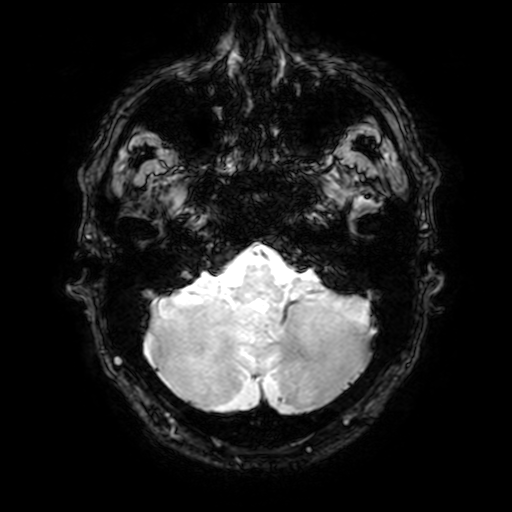
3 Tesla brain MRI.
Series: T2-weighted fast field echo with SENSE.
Study: ring-enhancing brain masses.